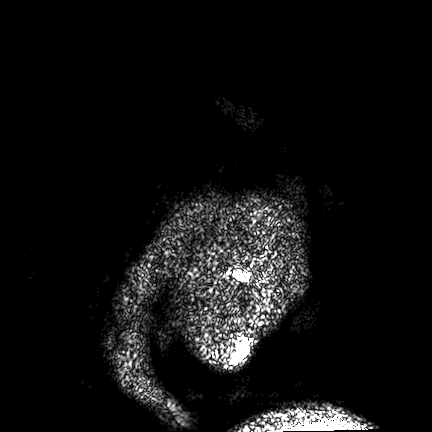
3 Tesla brain MRI.
Series: FLAIR VISTA.
Study: ring-enhancing brain masses.